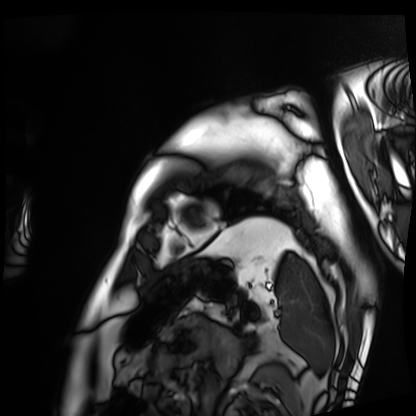
Cardiac MRI.
Subject group: patient.